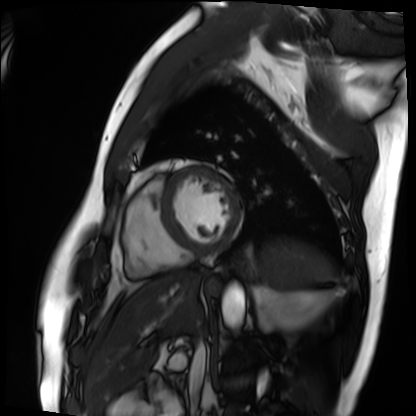
Cardiac MRI.
Subject group: patient.